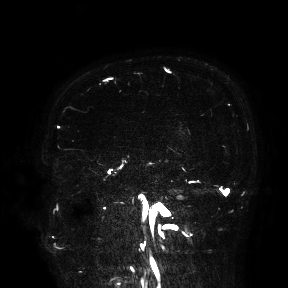
modality:
  type: brain MRI
  field_strength: 3T
study_topic: ring-enhancing brain masses